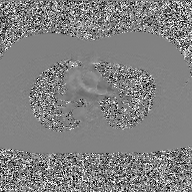
modality = 2D phase-contrast cine MRI of the ascending aorta, GAN super-resolution reconstruction.